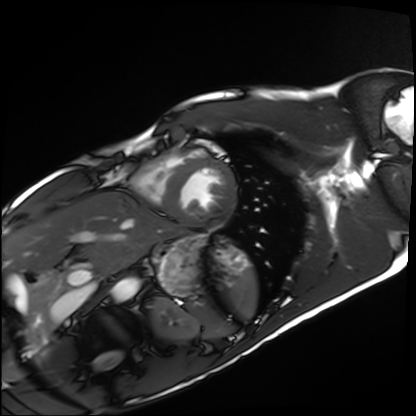
Case:
* modality · cardiac MRI
* subject group · healthy volunteer